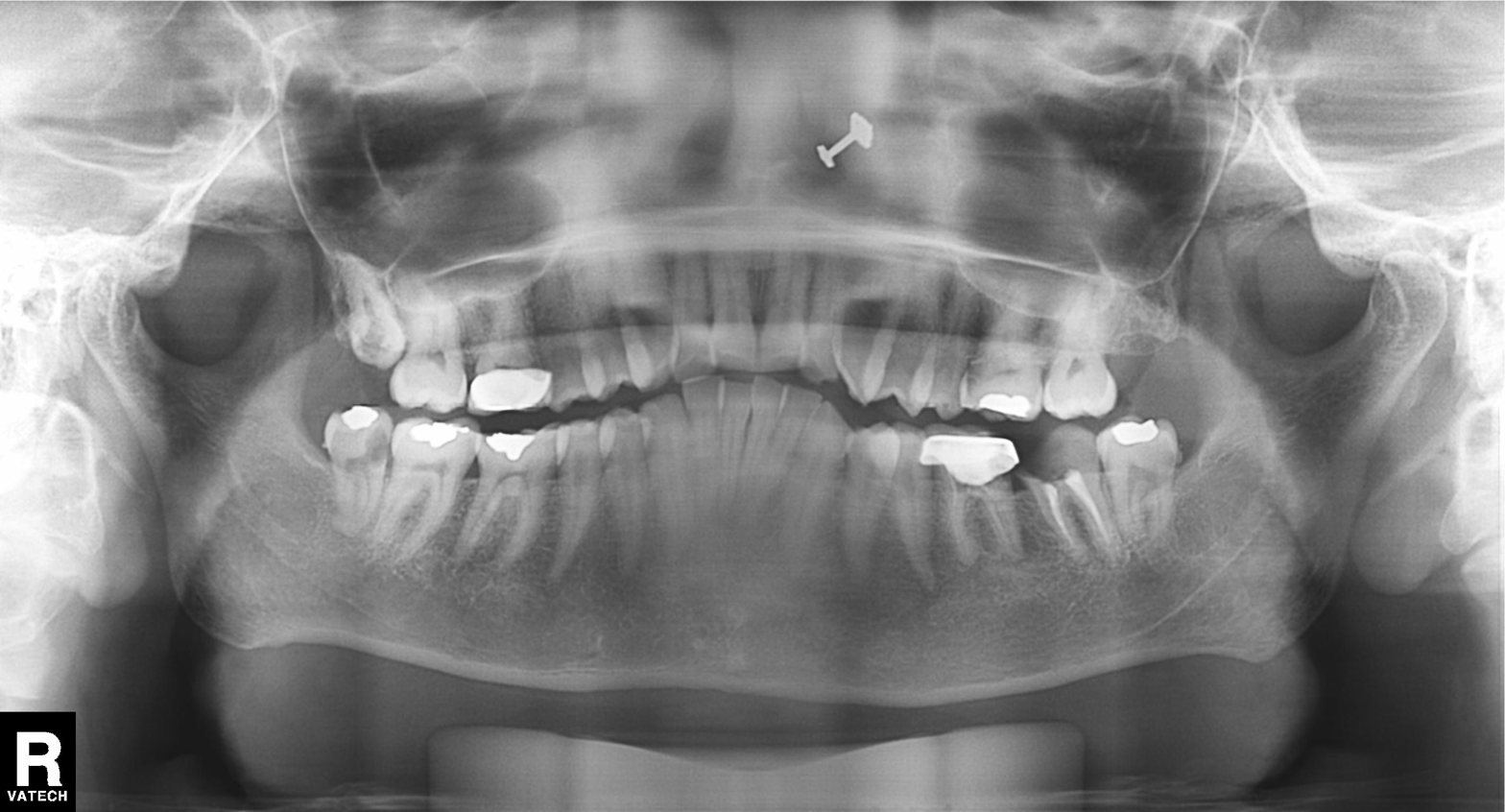
Panoramic dental radiograph (orthopantomogram). Finding: dental caries (cavities).